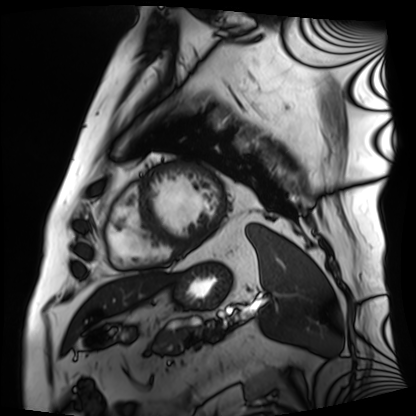
Cardiac MRI.
Subject group: patient.